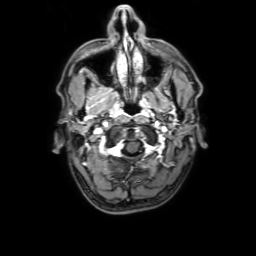
Case:
– modality: 3 Tesla brain MRI
– series: 3D T1-weighted with SENSE
– study: ring-enhancing brain masses